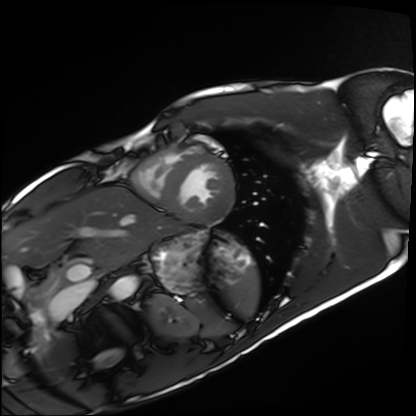
Cardiac MRI. Subject group: healthy volunteer.